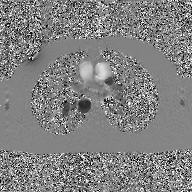
2D phase-contrast cine MRI of the ascending aorta, GAN super-resolution reconstruction.